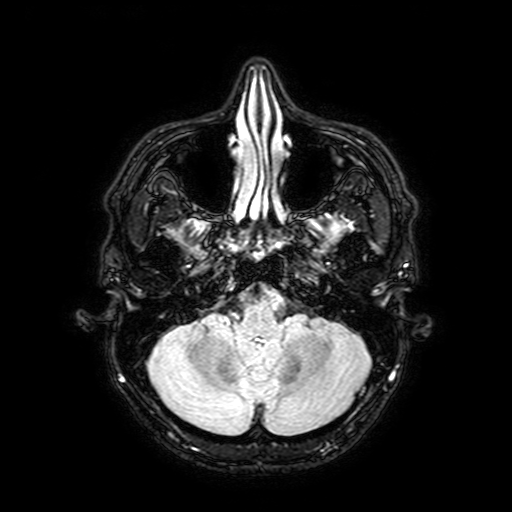
3 Tesla brain MRI. Study: ring-enhancing brain masses.